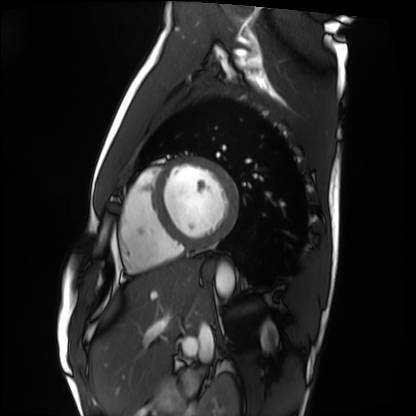
modality = cardiac MRI | subject group = healthy volunteer.